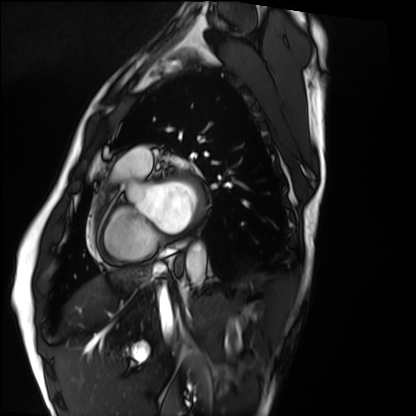
– modality: cardiac MRI
– subject group: healthy volunteer